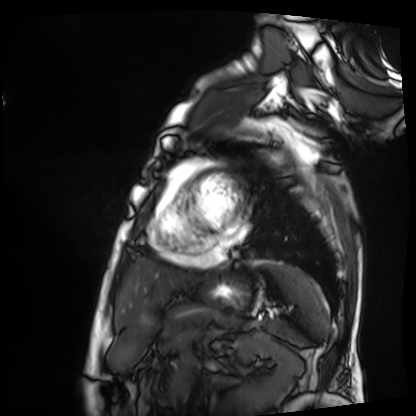
• modality: cardiac MRI
• subject group: patient